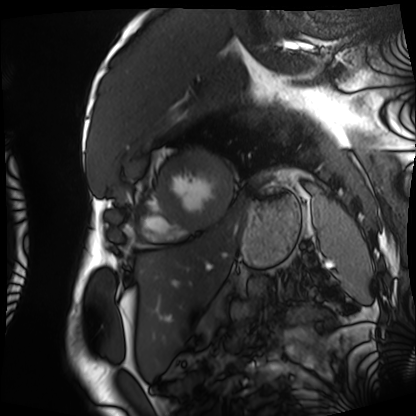
Q: What kind of scan is this?
A: Cardiac MRI.
Subject group: patient.